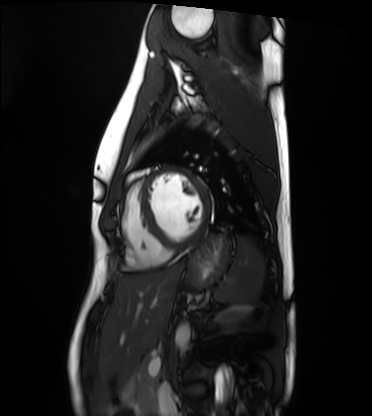
Summary:
Cardiac MRI. Subject group: healthy volunteer.